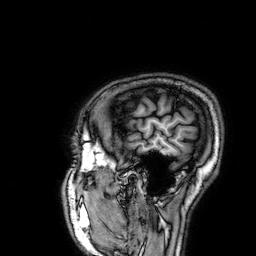
Summary:
3 Tesla brain MRI. Series: 3D T1-weighted. Study: ring-enhancing brain masses.